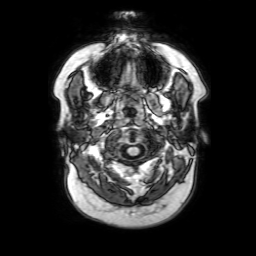
3 Tesla brain MRI. Series: 3D T1-weighted with SENSE. Study: ring-enhancing brain masses.